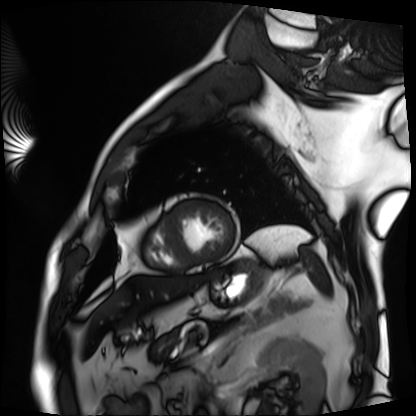
Cardiac MRI. Subject group: patient.